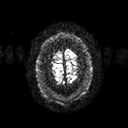
Clinical context: 3 Tesla brain MRI. Series: diffusion tensor imaging (medium iso). Study: ring-enhancing brain masses.